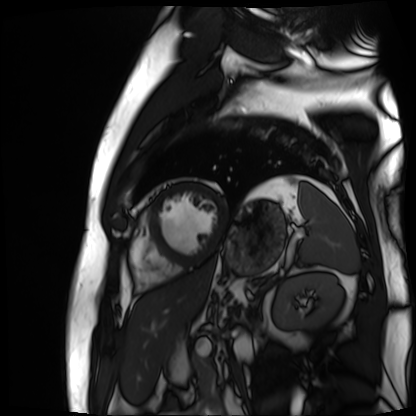
- modality — cardiac MR image of the myocardium
- subject cohort — cardiac patient